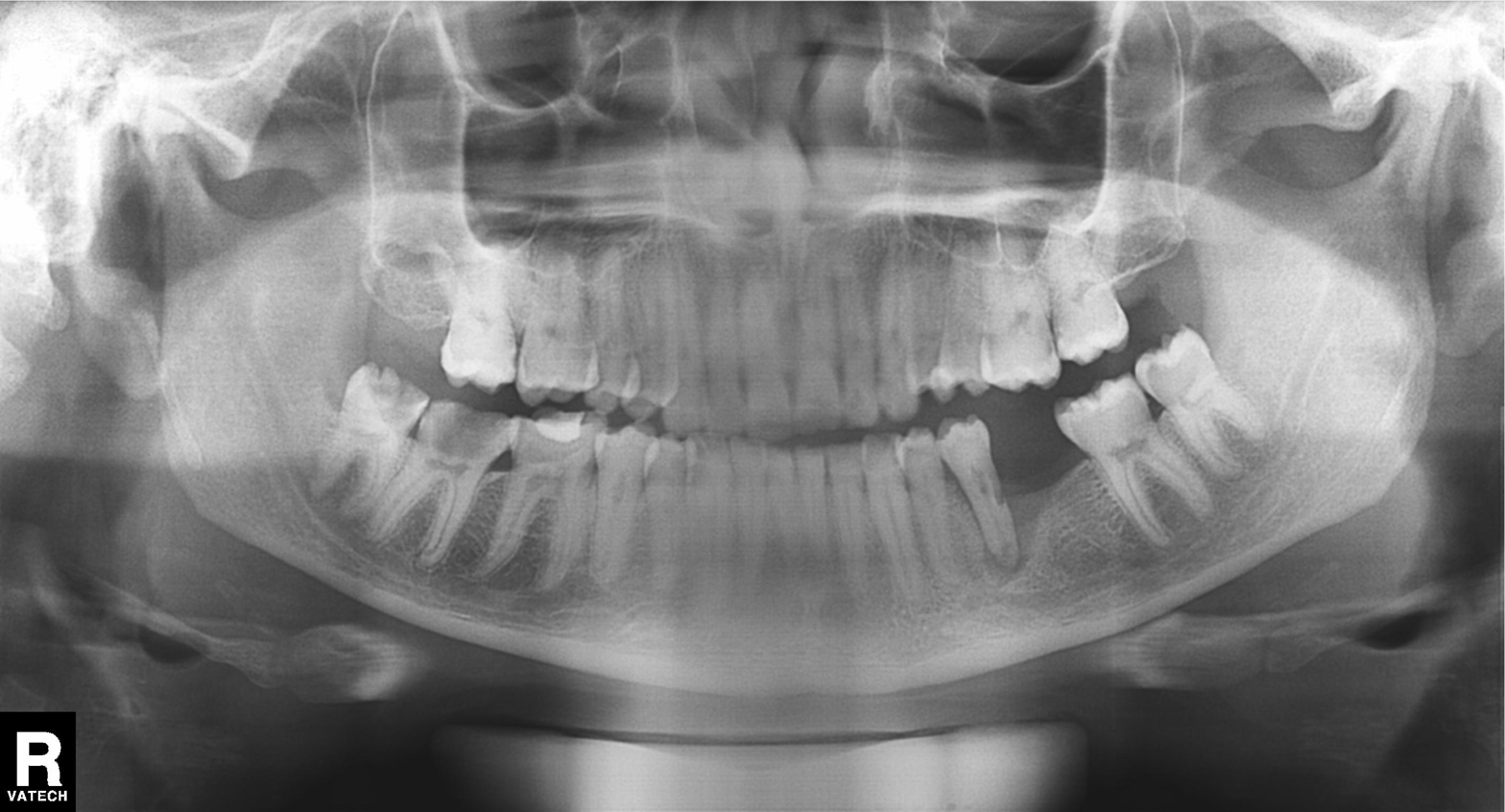
Case summary: Panoramic dental radiograph (orthopantomogram).
Diagnosis: Dental caries (cavities).